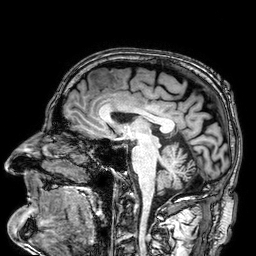
Case:
– modality · 3 Tesla brain MRI
– study · ring-enhancing brain masses